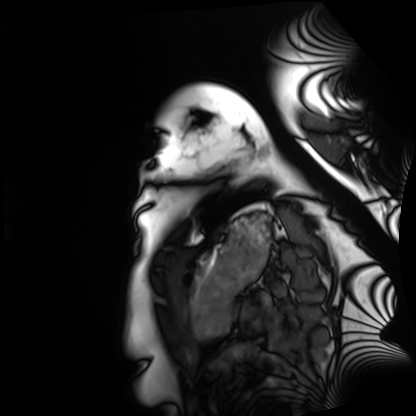
Q: What kind of scan is this?
A: Cardiac MRI.
Subject group: healthy volunteer.